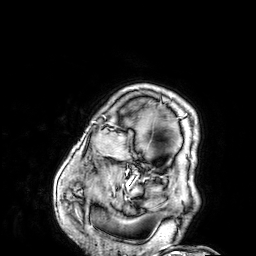
modality = 3 Tesla brain MRI
series = 3D T1-weighted
study = ring-enhancing brain masses